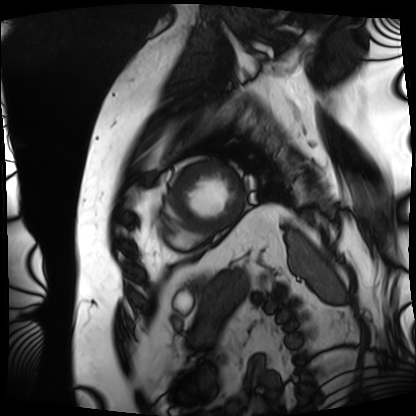
Cardiac MRI. Subject group: patient.